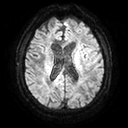
Q: What kind of scan is this?
A: 3 Tesla brain MRI.
Q: Series?
A: Diffusion tensor imaging (medium iso).
Study: ring-enhancing brain masses.